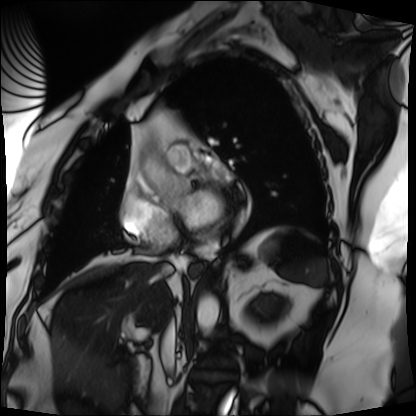
- modality: cardiac MRI
- subject group: patient